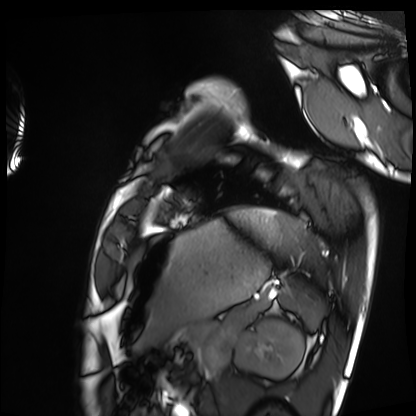
- modality: cardiac MRI
- subject group: healthy volunteer